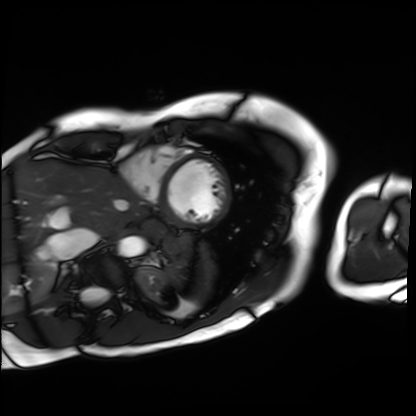
Cardiac MRI.
Subject group: patient.